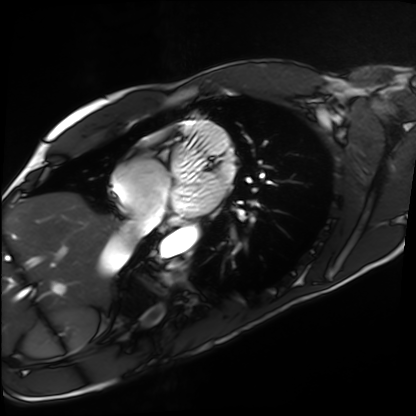
Cardiac MRI.
Subject group: healthy volunteer.